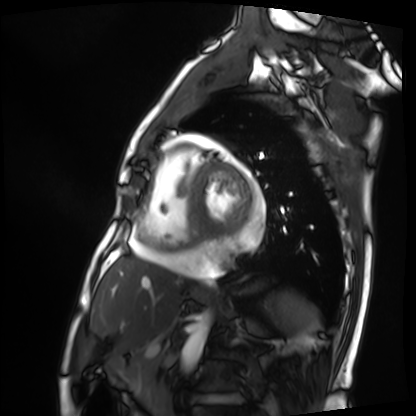
Case:
- modality — cardiac MRI
- subject group — patient